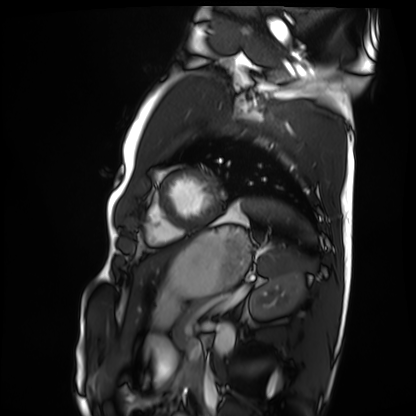
Cardiac MRI. Subject group: healthy volunteer.